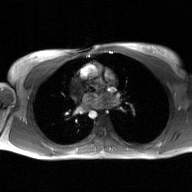
| field | value |
|---|---|
| modality | 2D phase-contrast cine MRI of the ascending aorta, GAN super-resolution reconstruction |